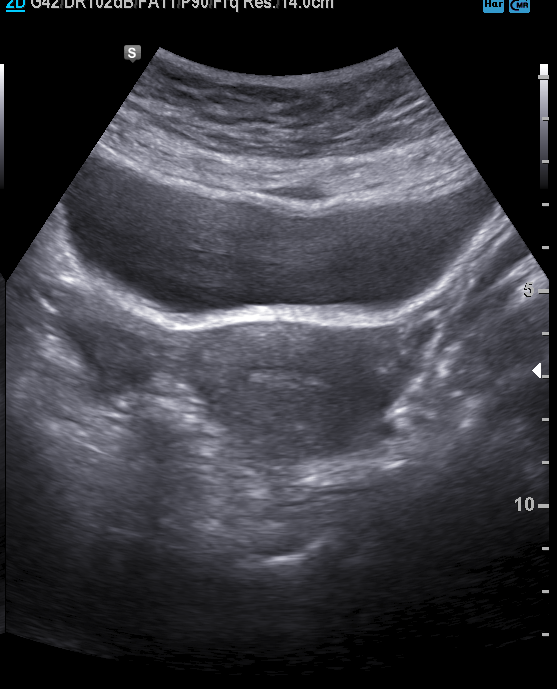
Genitourinary ultrasound.